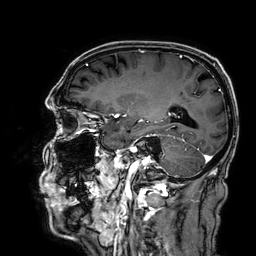
Case summary:
3 Tesla brain MRI. Series: 3D T1-weighted. Study: ring-enhancing brain masses.